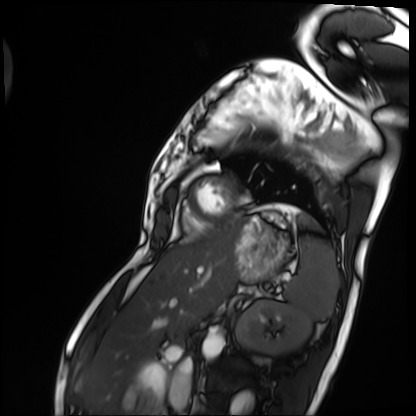
Cardiac MRI. Subject group: patient.